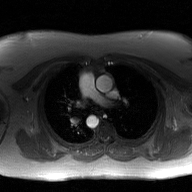
modality: 2D phase-contrast cine MRI of the ascending aorta, GAN super-resolution reconstruction.